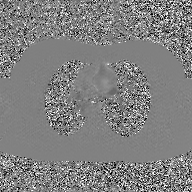
modality: 2D phase-contrast cine MRI of the ascending aorta, GAN super-resolution reconstruction.